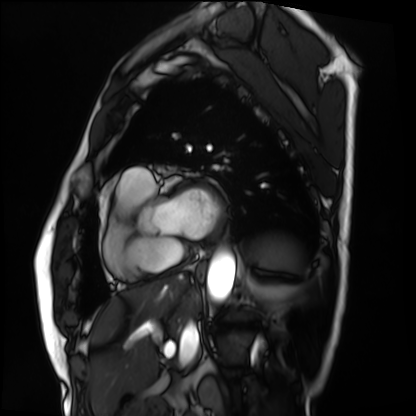
modality — cardiac MRI
subject group — patient